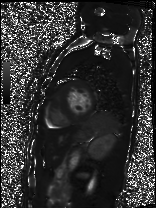
| field | value |
|---|---|
| modality | cardiac MRI |
| subject group | patient |